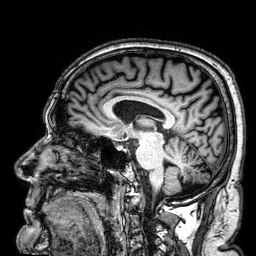
modality:
  type: brain MRI
  field_strength: 3T
series: 3D T1-weighted
study_topic: ring-enhancing brain masses